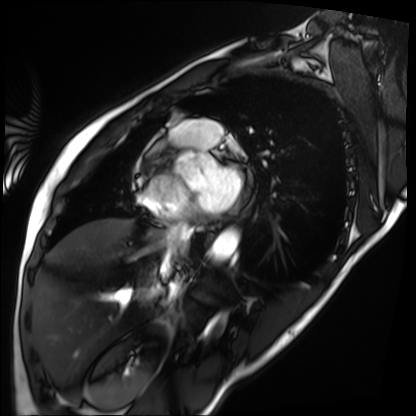
Q: What kind of scan is this?
A: Cardiac MRI.
Subject group: patient.